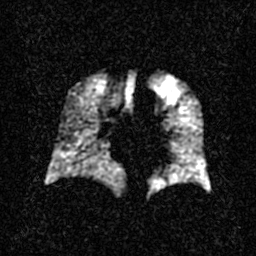
modality: hyperpolarized 129Xe ventilation MRI of the lungs
snr_level: 2 of 8 (the deposit holds this scan as its native image and as seven SNR-degraded versions)